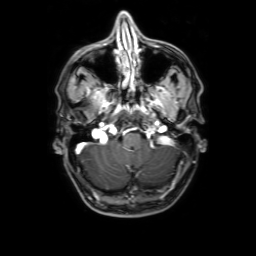
| field | value |
|---|---|
| modality | 3 Tesla brain MRI |
| series | 3D T1-weighted with SENSE |
| study | ring-enhancing brain masses |